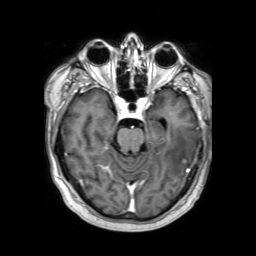
Q: What kind of scan is this?
A: 3 Tesla brain MRI.
Q: Series?
A: 3D T1-weighted TFE with SENSE.
Study: ring-enhancing brain masses.